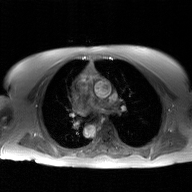
Q: What kind of scan is this?
A: 2D phase-contrast cine MRI of the ascending aorta, GAN super-resolution reconstruction.